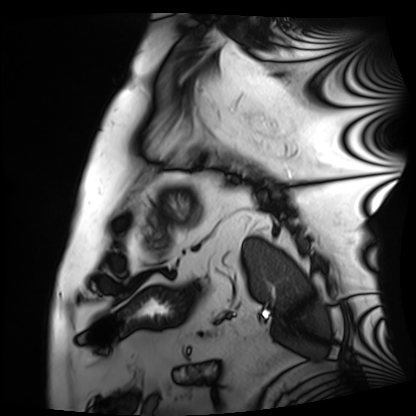
Summary: Cardiac MRI. Subject group: patient.